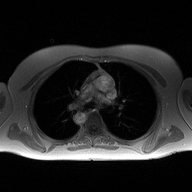
modality = 2D phase-contrast cine MRI of the ascending aorta